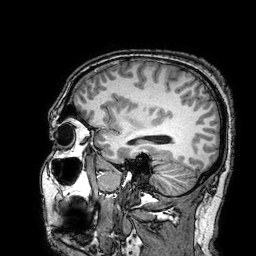
Case summary: 3 Tesla brain MRI. Series: 3D T1-weighted turbo field echo with SENSE. Study: ring-enhancing brain masses.